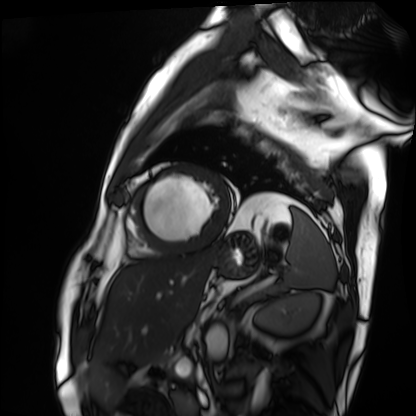
Cardiac MRI. Subject group: patient.